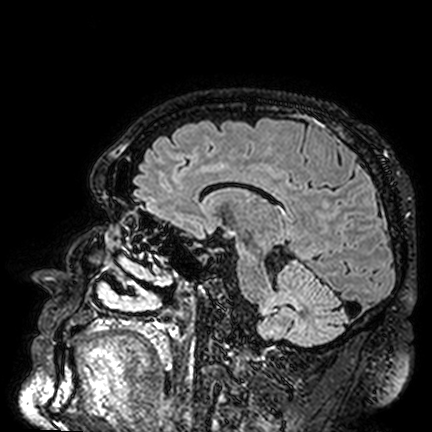
3 Tesla brain MRI. Study: ring-enhancing brain masses.